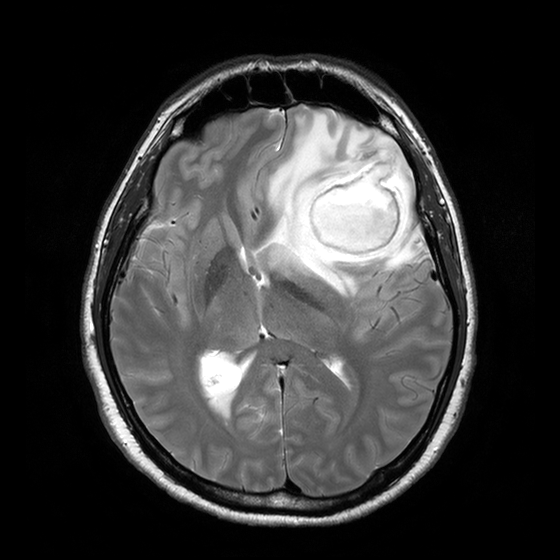
3 Tesla brain MRI.
Series: T2-weighted turbo spin echo with CLEAR.
Study: ring-enhancing brain masses.